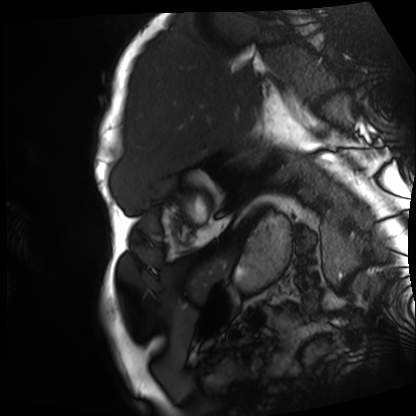
modality: cardiac MRI
subject group: patient